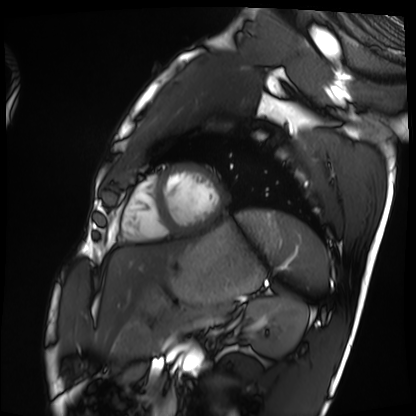
Cardiac MRI.
Subject group: healthy volunteer.